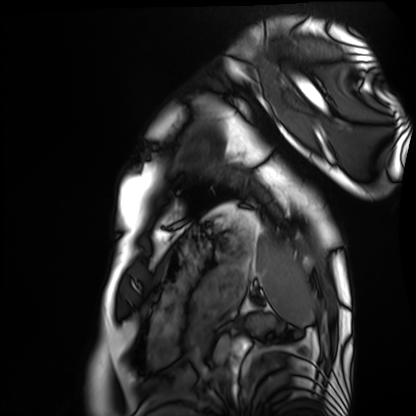
Summary: Cardiac MRI. Subject group: healthy volunteer.